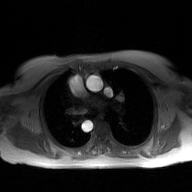
Summary:
2D phase-contrast cine MRI of the ascending aorta, GAN super-resolution reconstruction.